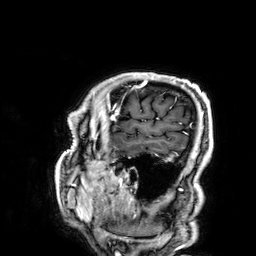
• modality — 3 Tesla brain MRI
• series — 3D T1-weighted
• study — ring-enhancing brain masses